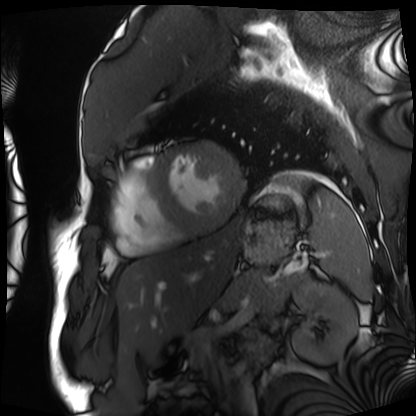
Cardiac MRI. Subject group: patient.